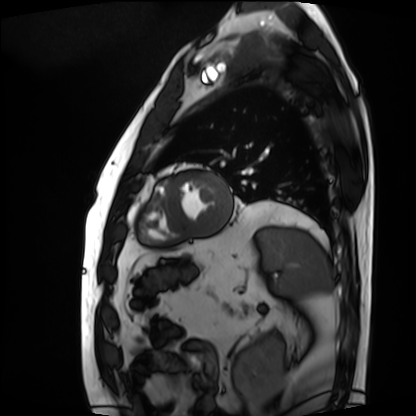
Cardiac MRI. Subject group: patient.